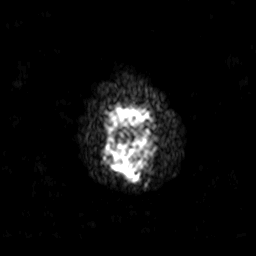
Case:
– modality: 3 Tesla brain MRI
– series: diffusion-weighted imaging with SENSE (WIP)
– study: ring-enhancing brain masses